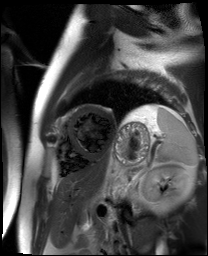
{
  "modality": "cardiac MR image of the myocardium",
  "cohort": "cardiac patient"
}